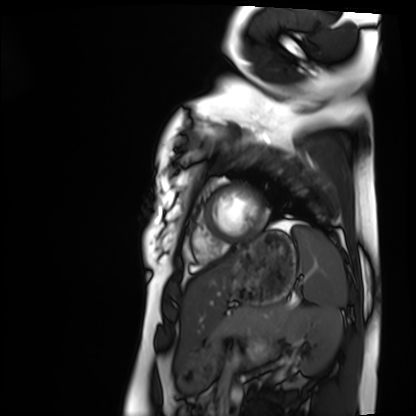
Case summary: Cardiac MRI. Subject group: healthy volunteer.